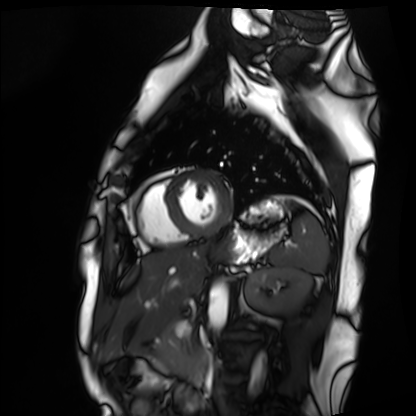
modality: cardiac MRI | subject group: healthy volunteer.